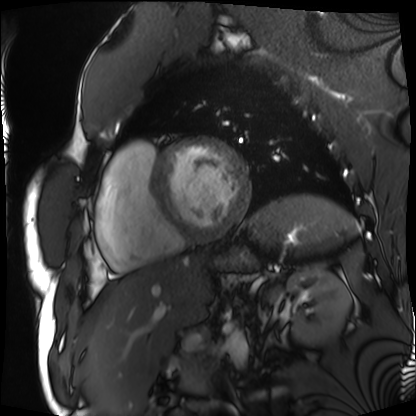
Cardiac MRI.
Subject group: patient.